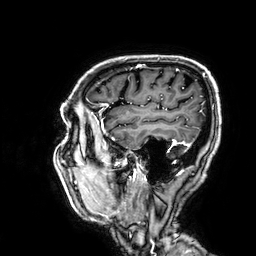
3 Tesla brain MRI.
Series: 3D T1-weighted.
Study: ring-enhancing brain masses.